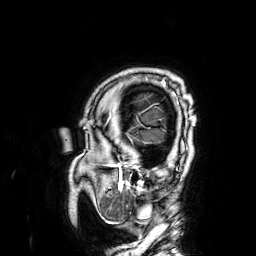
3 Tesla brain MRI.
Series: 3D T1-weighted.
Study: ring-enhancing brain masses.